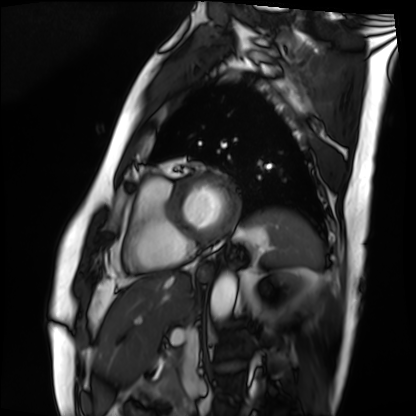
Clinical context: Cardiac MRI. Subject group: patient.